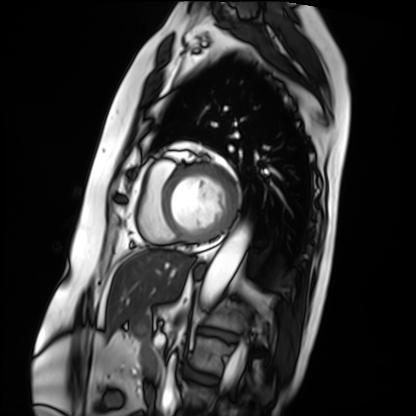
Cardiac MRI.
Subject group: patient.